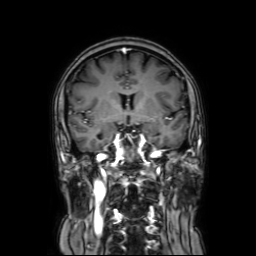
Summary: 3 Tesla brain MRI. Series: coronal with contrast. Study: ring-enhancing brain masses.